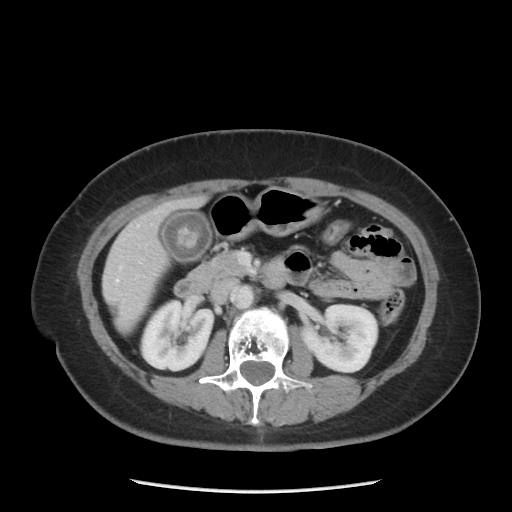
Multiphase abdominal CT, liver, portal venous phase.